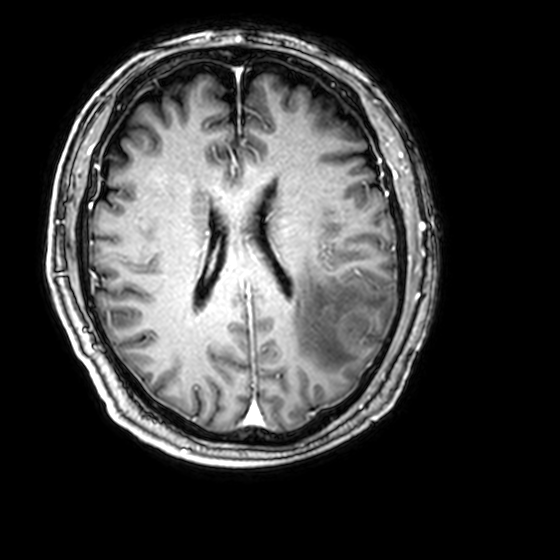
Summary: 3 Tesla brain MRI. Series: 3D T1-weighted with CLEAR. Study: ring-enhancing brain masses.